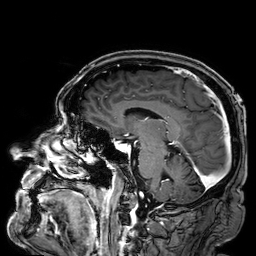
<case>
<modality>
  <type>brain MRI</type>
  <field_strength>3T</field_strength>
</modality>
<series>3D T1-weighted</series>
<study_topic>ring-enhancing brain masses</study_topic>
</case>